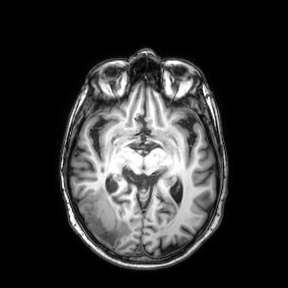
Case summary:
3 Tesla brain MRI. Series: axial. Study: ring-enhancing brain masses.